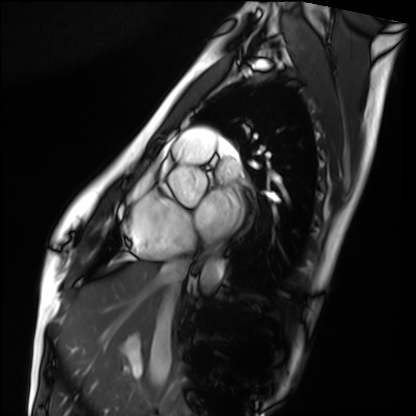
Cardiac MRI. Subject group: healthy volunteer.